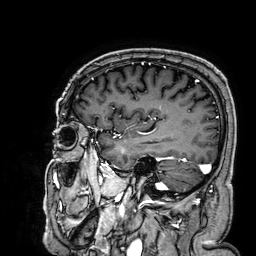
{"modality": {"type": "brain MRI", "field_strength": "3T"}, "series": "3D T1-weighted", "study_topic": "ring-enhancing brain masses"}